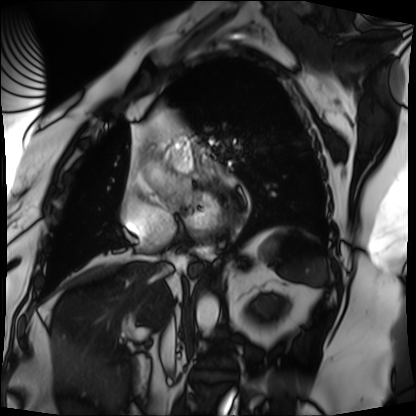
Case summary:
Cardiac MRI. Subject group: patient.